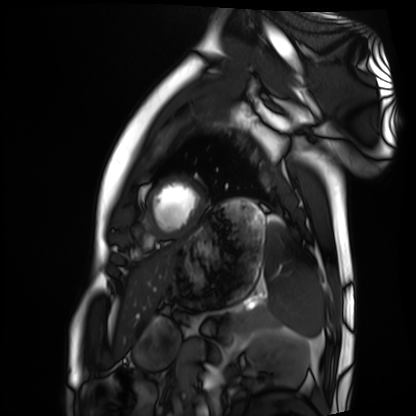
Clinical context:
Cardiac MRI. Subject group: healthy volunteer.